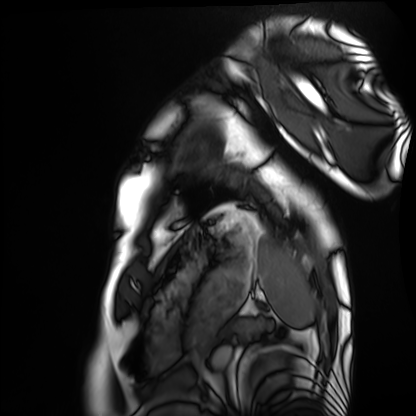
Cardiac MRI. Subject group: healthy volunteer.